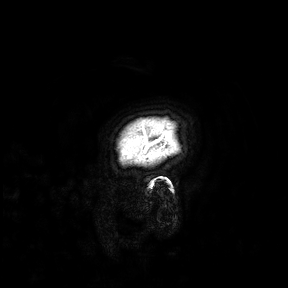
Q: What kind of scan is this?
A: 3 Tesla brain MRI.
Study: ring-enhancing brain masses.